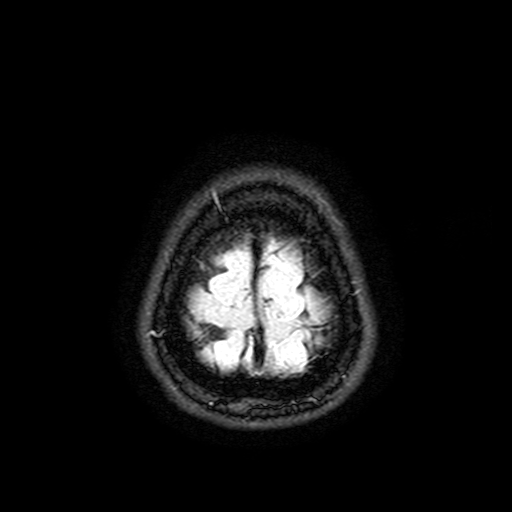
modality:
  type: brain MRI
  field_strength: 3T
series: FLAIR with SPAIR, 3 mm
study_topic: ring-enhancing brain masses